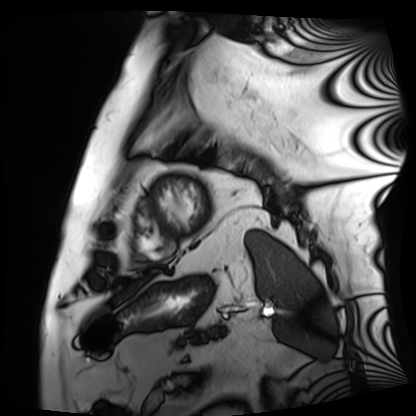
modality: cardiac MRI, subject group: patient.